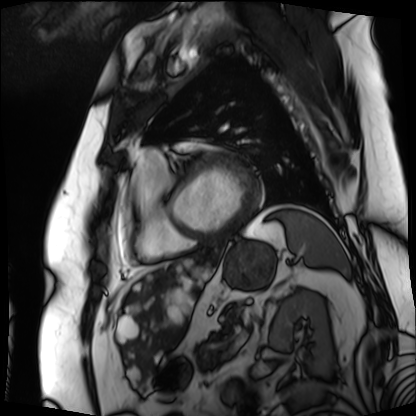
Cardiac MRI.
Subject group: patient.